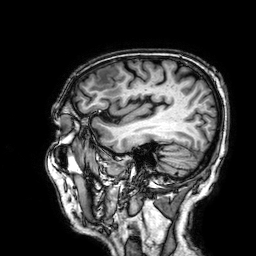
3 Tesla brain MRI. Series: 3D T1-weighted. Study: ring-enhancing brain masses.